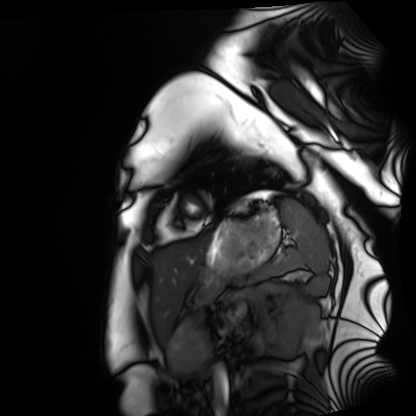
modality = cardiac MRI | subject group = healthy volunteer.